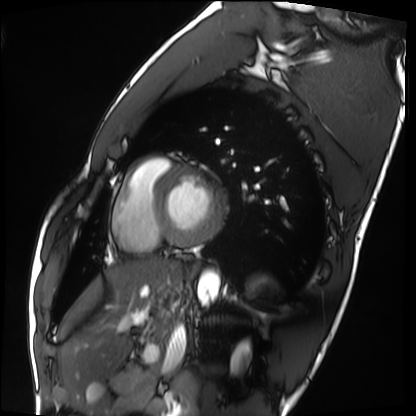
<record>
<modality>cardiac MRI</modality>
<cohort>healthy volunteer</cohort>
</record>